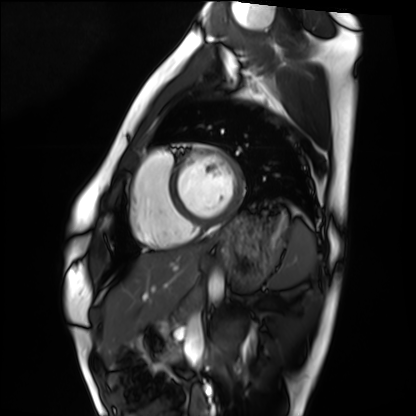
  modality: cardiac MRI
  cohort: healthy volunteer